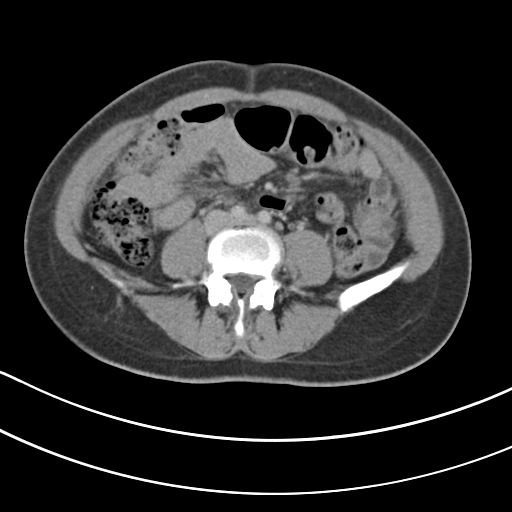
modality: multiphase abdominal CT, liver, portal venous phase
patient: female, age 43
history: viral hepatitis